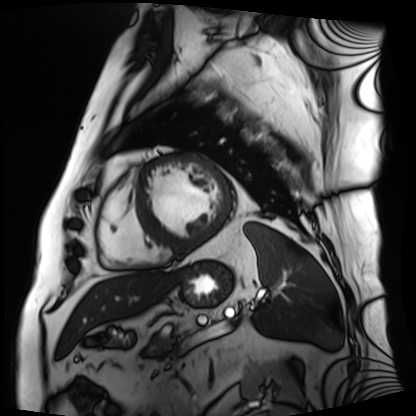
modality: cardiac MRI; subject group: patient.